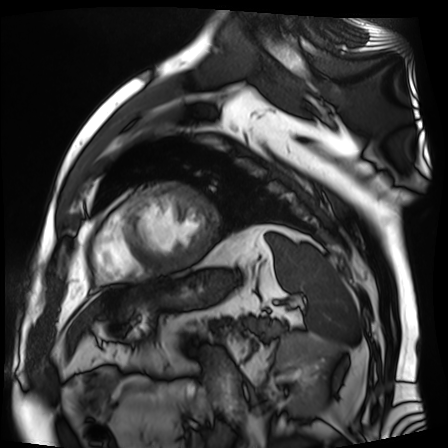
– modality · cardiac MR image of the myocardium
– subject cohort · cardiac patient